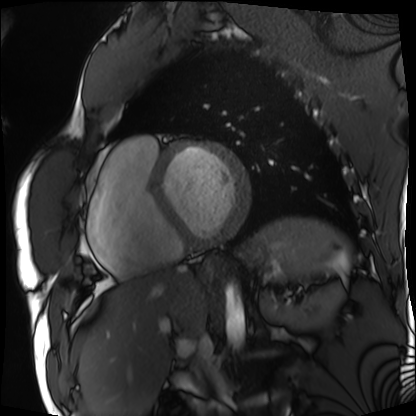
Cardiac MRI.
Subject group: patient.